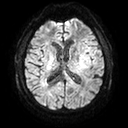
modality = 3 Tesla brain MRI | series = diffusion tensor imaging (medium iso) | study = ring-enhancing brain masses.